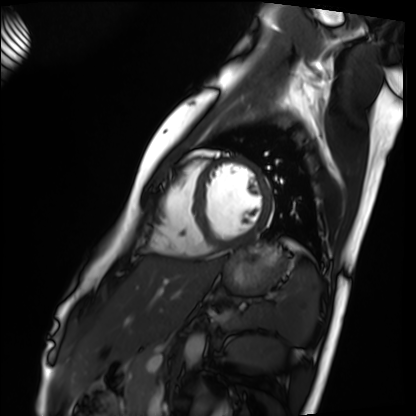
Cardiac MRI. Subject group: healthy volunteer.